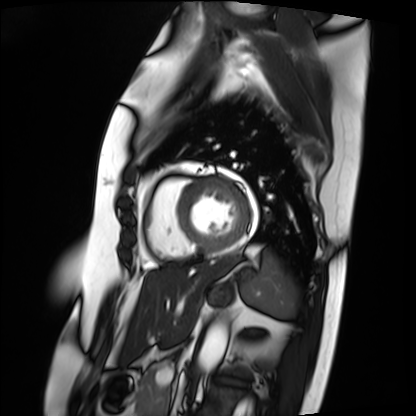
<record>
  <modality>cardiac MRI</modality>
  <cohort>patient</cohort>
</record>